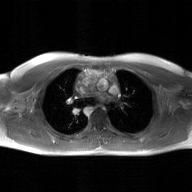
modality=2D phase-contrast cine MRI of the ascending aorta, GAN super-resolution reconstruction.